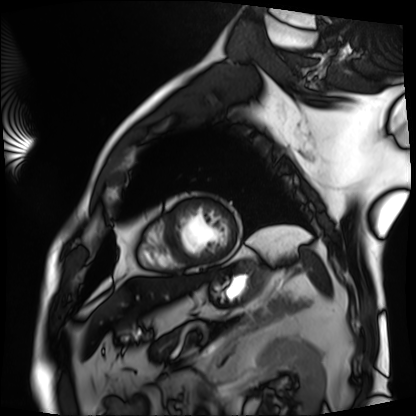
Cardiac MRI. Subject group: patient.